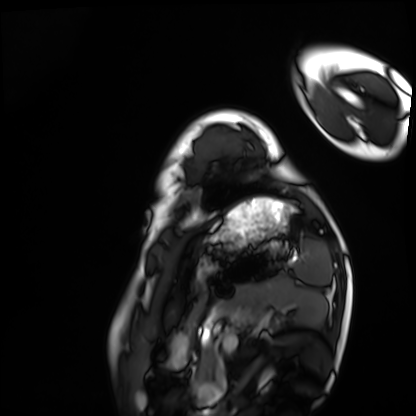
modality — cardiac MRI; subject group — healthy volunteer.